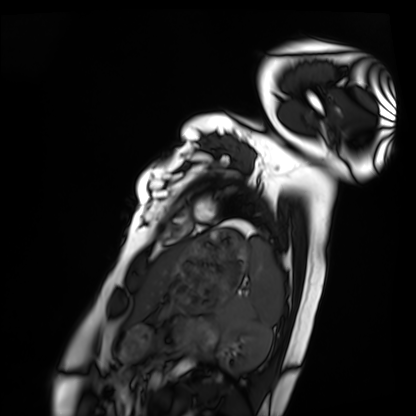
{"modality": "cardiac MRI", "cohort": "healthy volunteer"}